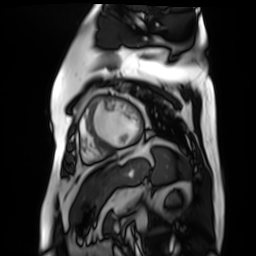
{"modality": "cardiac MR image of the myocardium", "cohort": "cardiac patient"}